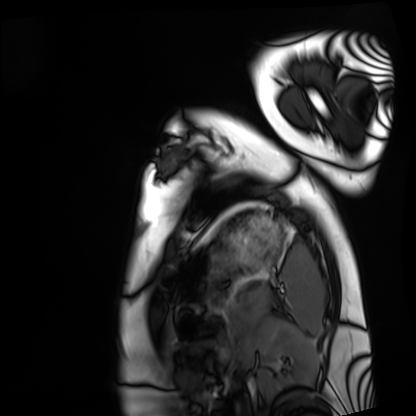
– modality · cardiac MRI
– subject group · healthy volunteer